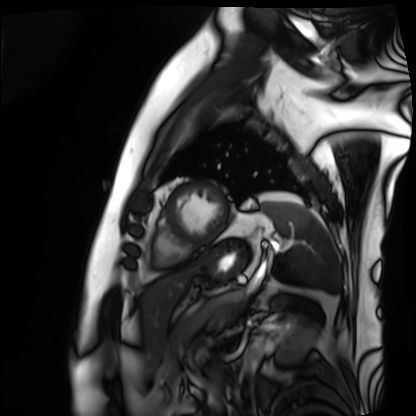
| field | value |
|---|---|
| modality | cardiac MRI |
| subject group | patient |